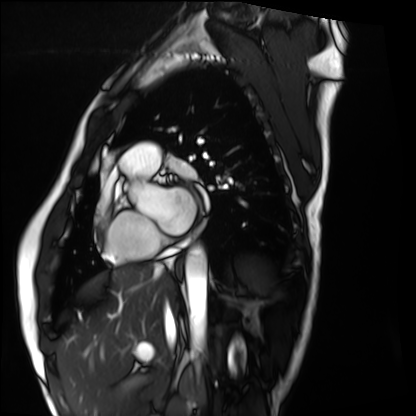
Summary: Cardiac MRI. Subject group: healthy volunteer.